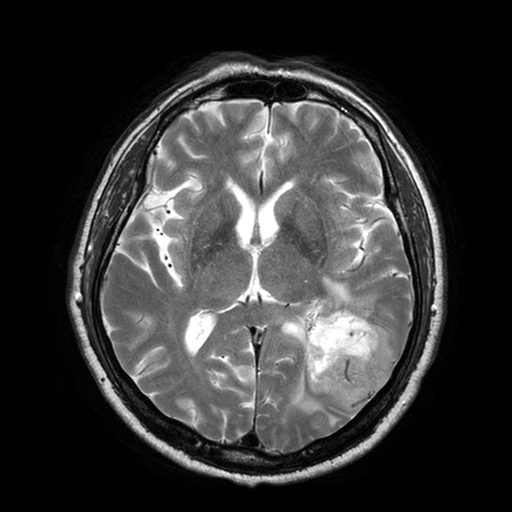
3 Tesla brain MRI.
Series: T2-weighted turbo spin echo with SENSE.
Study: ring-enhancing brain masses.